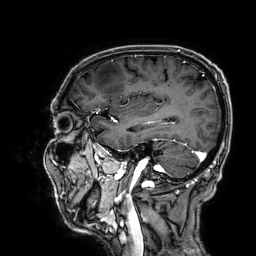
3 Tesla brain MRI.
Series: 3D T1-weighted.
Study: ring-enhancing brain masses.